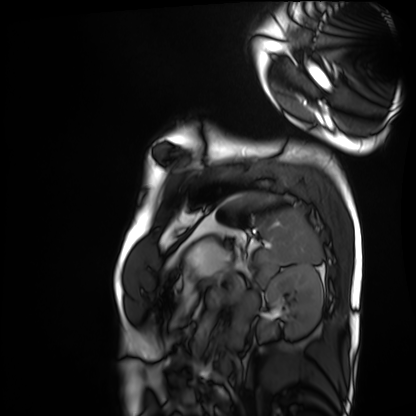
<record>
<modality>cardiac MRI</modality>
<cohort>healthy volunteer</cohort>
</record>